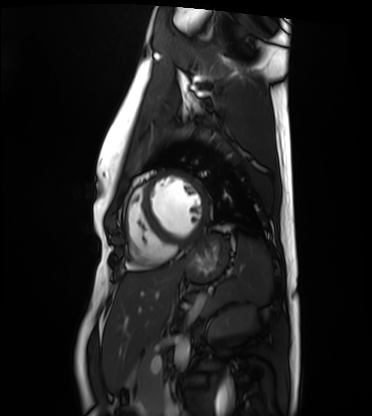
{
  "modality": "cardiac MRI",
  "cohort": "healthy volunteer"
}